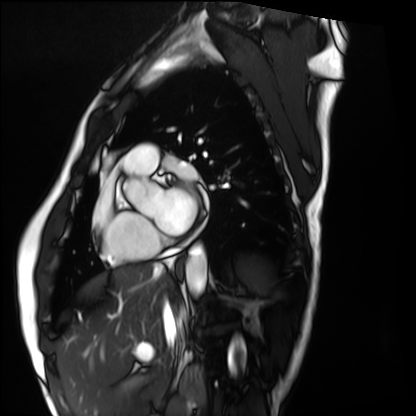
Q: What kind of scan is this?
A: Cardiac MRI.
Subject group: healthy volunteer.